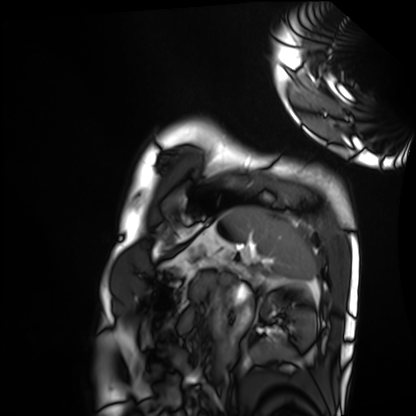
Summary:
Cardiac MRI. Subject group: healthy volunteer.